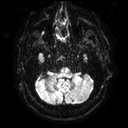
Q: What kind of scan is this?
A: 3 Tesla brain MRI.
Q: Series?
A: Diffusion tensor imaging (medium iso).
Study: ring-enhancing brain masses.